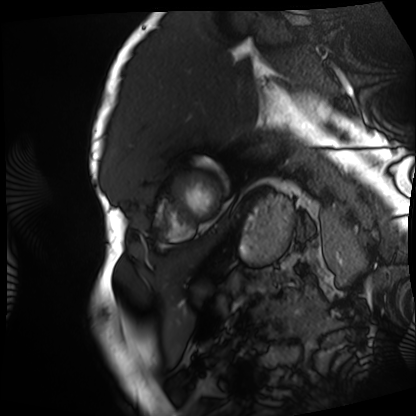
Summary: Cardiac MRI. Subject group: patient.